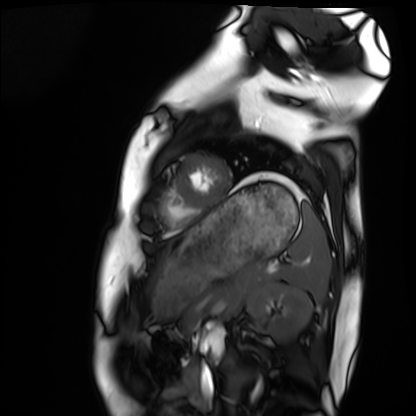
Cardiac MRI.
Subject group: healthy volunteer.